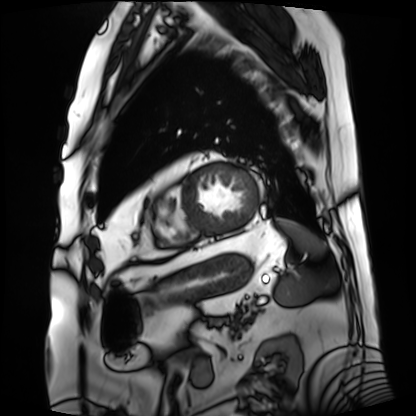
{
  "modality": "cardiac MRI",
  "cohort": "patient"
}